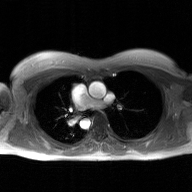
Q: What kind of scan is this?
A: 2D phase-contrast cine MRI of the ascending aorta, GAN super-resolution reconstruction.